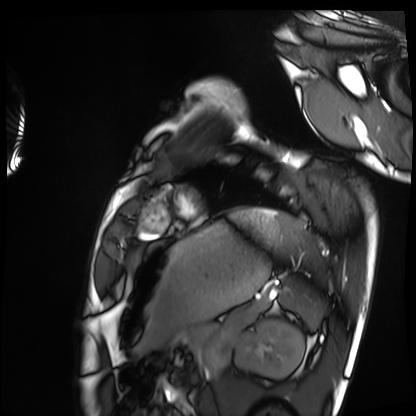
Summary:
Cardiac MRI. Subject group: healthy volunteer.